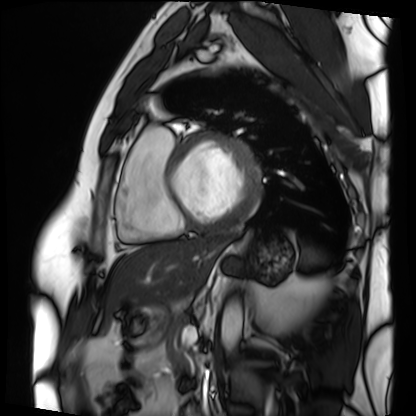
{
  "modality": "cardiac MRI",
  "cohort": "patient"
}